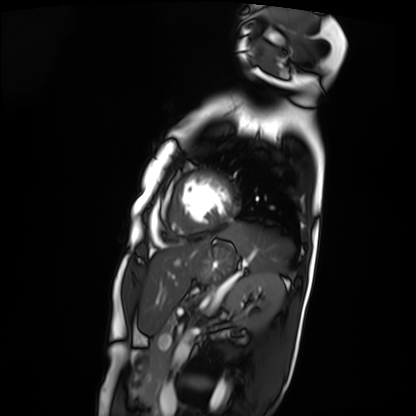
Clinical context: Cardiac MRI. Subject group: patient.